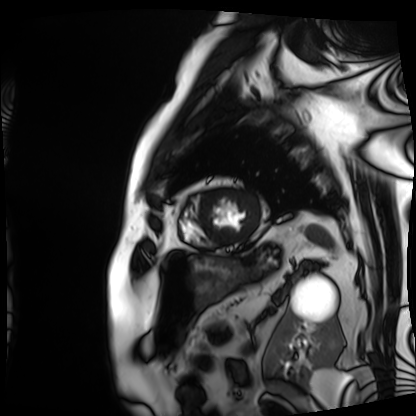
Cardiac MRI. Subject group: patient.